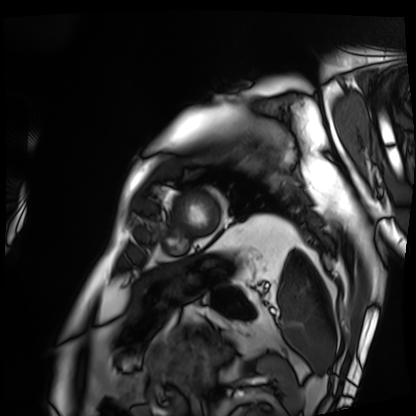
modality: cardiac MRI; subject group: patient.